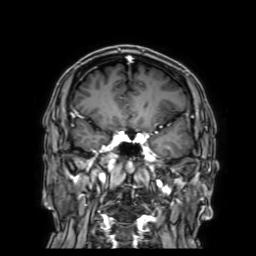
3 Tesla brain MRI. Series: 3D T1-weighted with SENSE. Study: ring-enhancing brain masses.